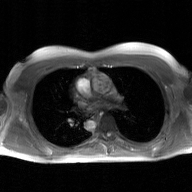
modality: 2D phase-contrast cine MRI of the ascending aorta, GAN super-resolution reconstruction.